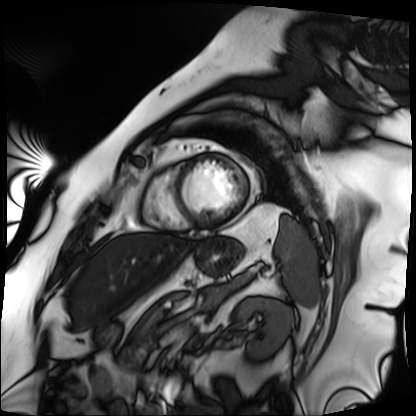
Q: What kind of scan is this?
A: Cardiac MRI.
Subject group: patient.